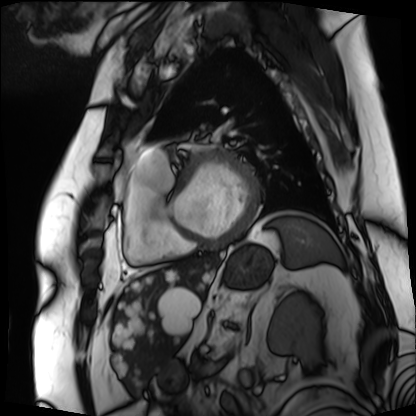
Q: What kind of scan is this?
A: Cardiac MRI.
Subject group: patient.